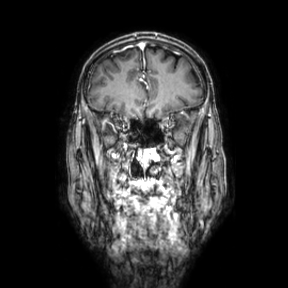
{
  "modality": {
    "type": "brain MRI",
    "field_strength": "3T"
  },
  "series": "coronal",
  "study_topic": "ring-enhancing brain masses"
}